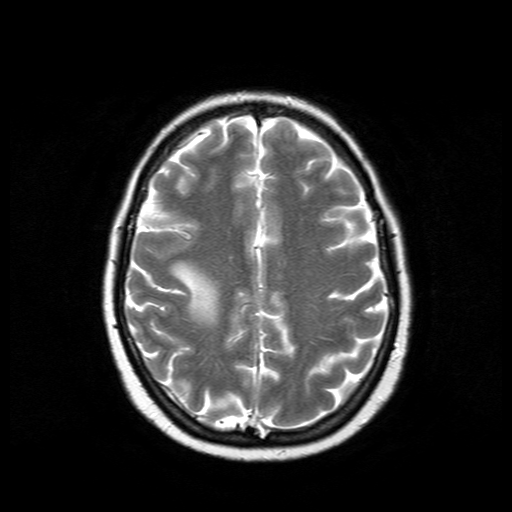
3 Tesla brain MRI. Series: T2-weighted turbo spin echo. Study: ring-enhancing brain masses.